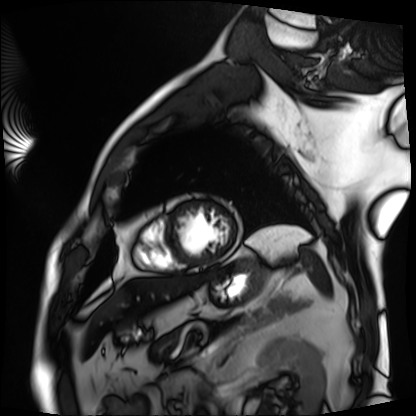
Cardiac MRI. Subject group: patient.